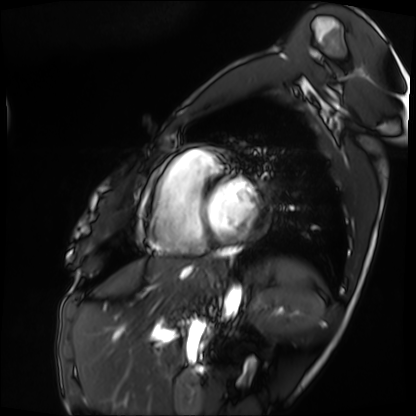
<record>
<modality>cardiac MRI</modality>
<cohort>patient</cohort>
</record>